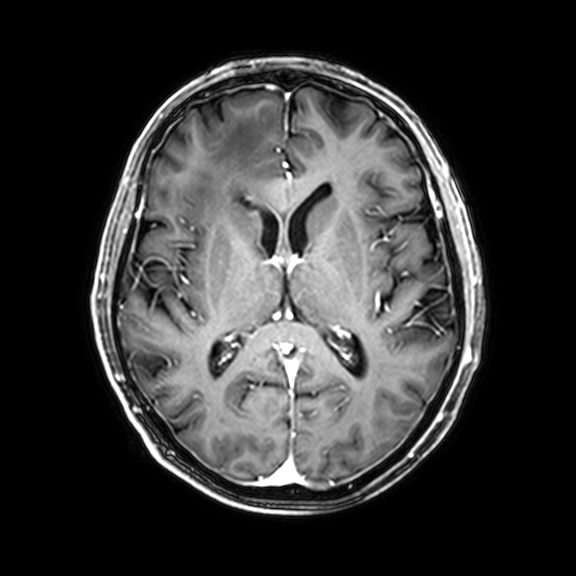
3 Tesla brain MRI.
Series: 3D T1-weighted with CLEAR.
Study: ring-enhancing brain masses.